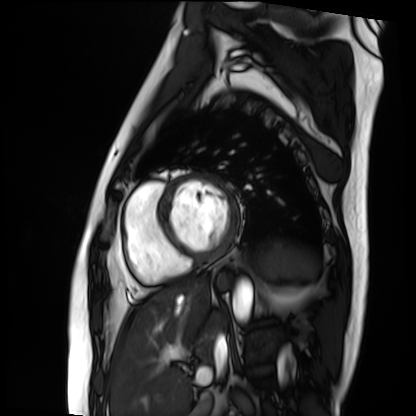
• modality — cardiac MRI
• subject group — patient